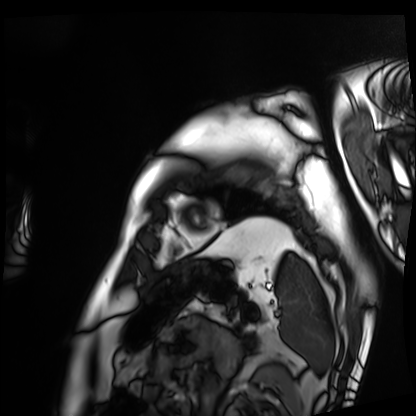
Cardiac MRI.
Subject group: patient.